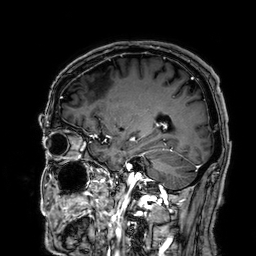
Case:
* modality: 3 Tesla brain MRI
* series: 3D T1-weighted
* study: ring-enhancing brain masses